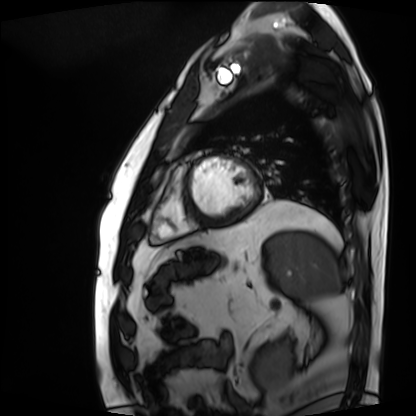
• modality: cardiac MRI
• subject group: patient